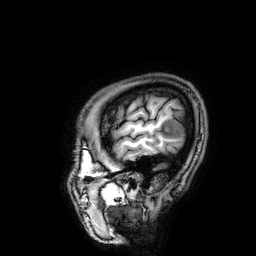
3 Tesla brain MRI. Series: 3D T1-weighted. Study: ring-enhancing brain masses.